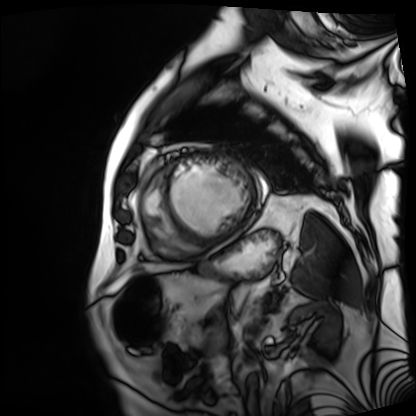
<case>
<modality>cardiac MRI</modality>
<cohort>patient</cohort>
</case>